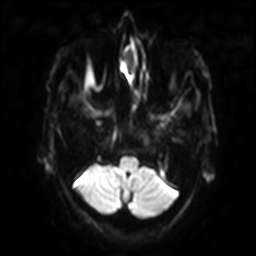
Summary:
3 Tesla brain MRI. Series: diffusion-weighted imaging with SENSE (WIP). Study: ring-enhancing brain masses.